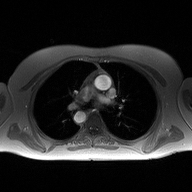
Clinical context:
2D phase-contrast cine MRI of the ascending aorta, high-resolution GRAPPA acquisition.